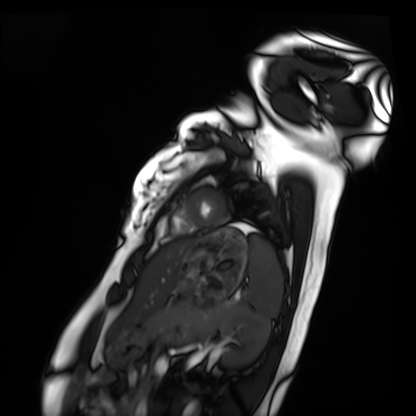
Cardiac MRI.
Subject group: healthy volunteer.